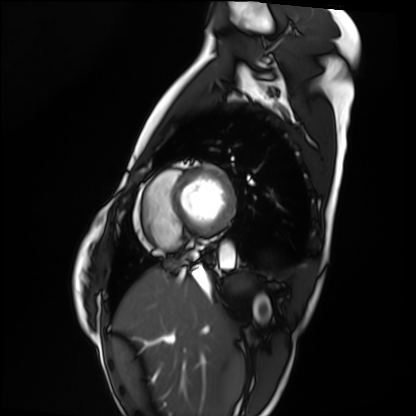
Cardiac MRI. Subject group: healthy volunteer.